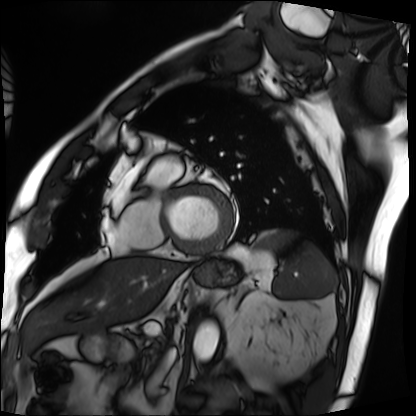
{"modality": "cardiac MRI", "cohort": "patient"}